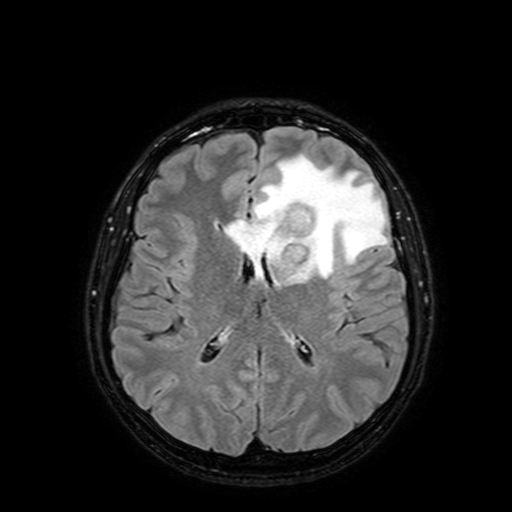
Clinical context: 3 Tesla brain MRI. Series: FLAIR with SPAIR, 3 mm. Study: ring-enhancing brain masses.